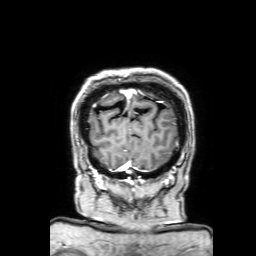
{
  "modality": {
    "type": "brain MRI",
    "field_strength": "3T"
  },
  "series": "3D T1-weighted with SENSE",
  "study_topic": "ring-enhancing brain masses"
}